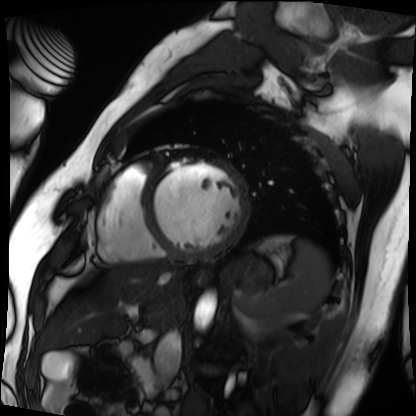
modality: cardiac MRI, subject group: patient.